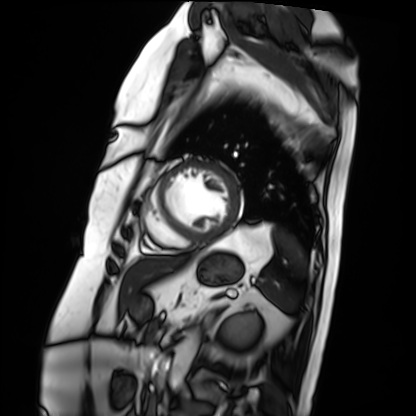
Cardiac MRI. Subject group: patient.